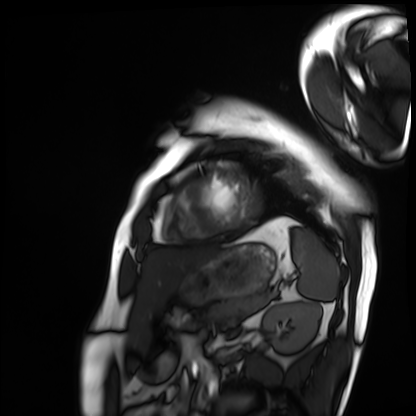
Cardiac MRI. Subject group: patient.